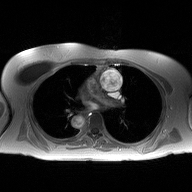
2D phase-contrast cine MRI of the ascending aorta, high-resolution GRAPPA acquisition.